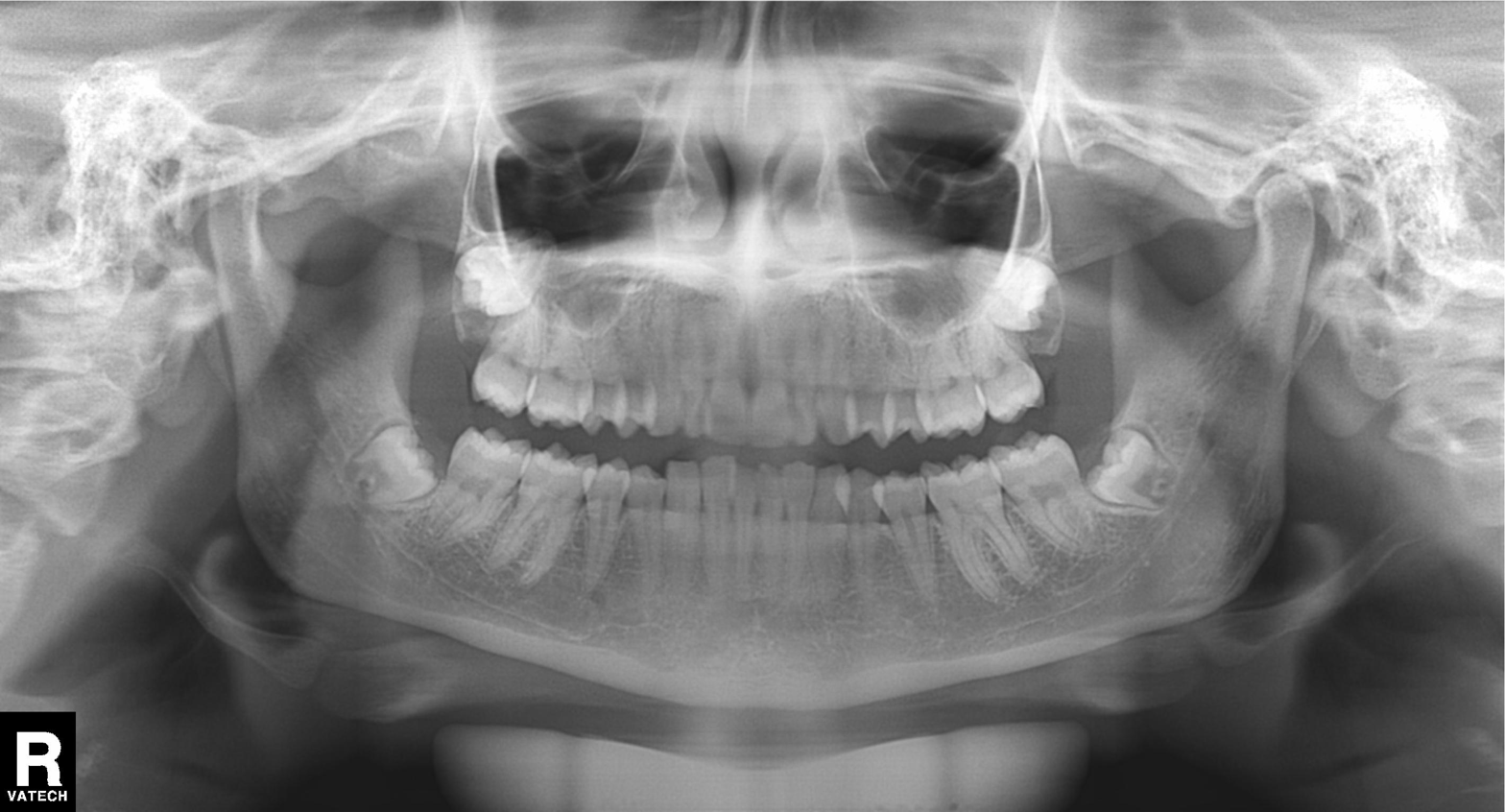
{
  "modality": "panoramic dental radiograph (orthopantomogram)",
  "finding": "alveolar bone loss"
}